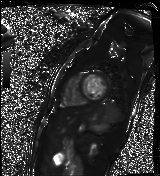
Cardiac MR image of the myocardium. Subject cohort: healthy volunteer.